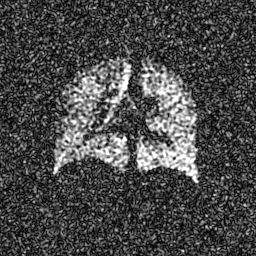
Q: What kind of scan is this?
A: Hyperpolarized 129Xe ventilation MRI of the lungs.
Q: SNR level?
A: 7 of 8 (the deposit holds this scan as its native image and as seven SNR-degraded versions).